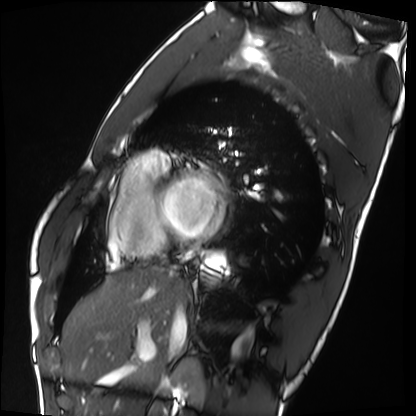
Cardiac MRI.
Subject group: healthy volunteer.